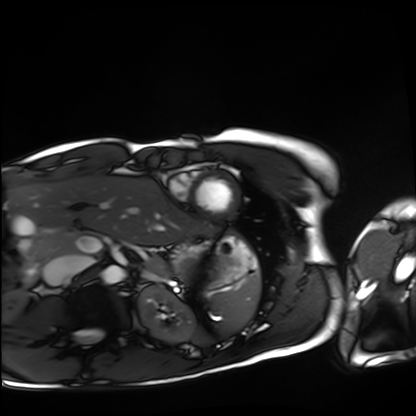
Cardiac MRI.
Subject group: healthy volunteer.